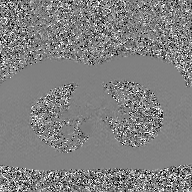
2D phase-contrast cine MRI of the ascending aorta, GAN super-resolution reconstruction.